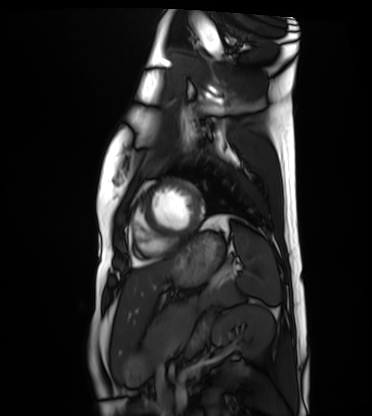
modality=cardiac MRI | subject group=healthy volunteer.